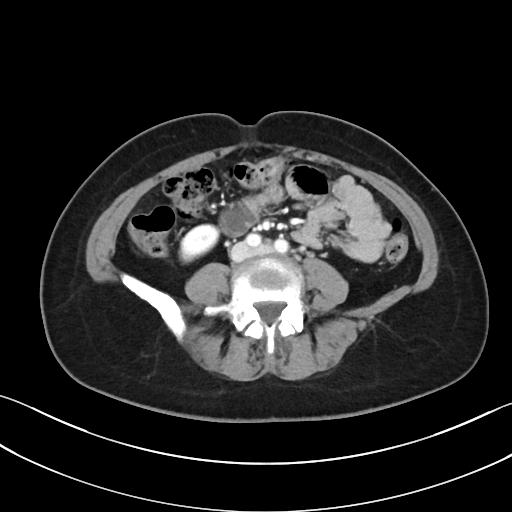
Multiphase abdominal CT, liver, portal venous phase. Patient: female, age 47. History: prior chemotherapy.